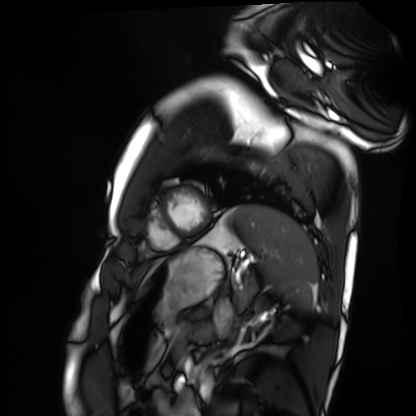
| field | value |
|---|---|
| modality | cardiac MRI |
| subject group | healthy volunteer |